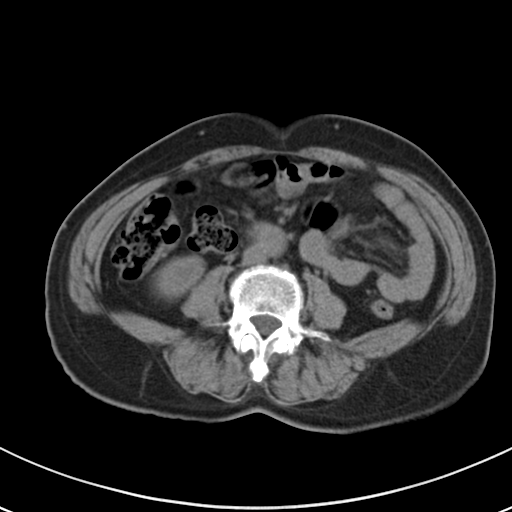
Q: What kind of scan is this?
A: Multiphase abdominal CT, liver, non-contrast phase.